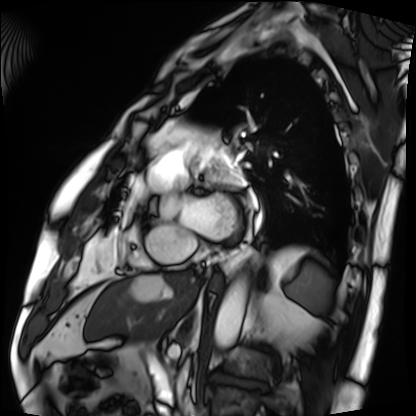
Cardiac MRI.
Subject group: patient.